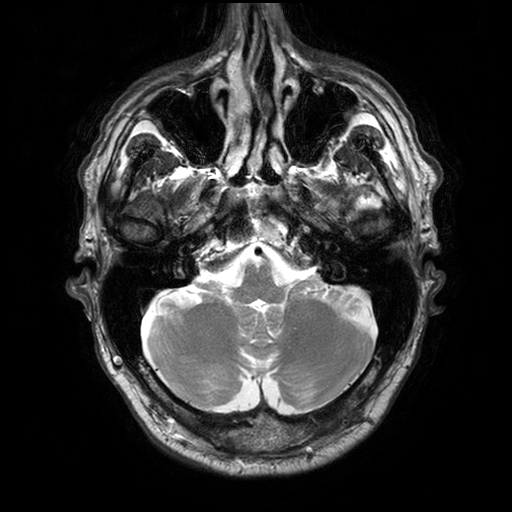
  modality:
    type: brain MRI
    field_strength: 3T
  series: T2-weighted turbo spin echo with SENSE
  study_topic: ring-enhancing brain masses